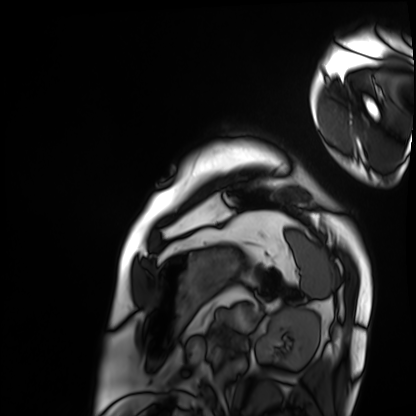
Summary: Cardiac MRI. Subject group: patient.